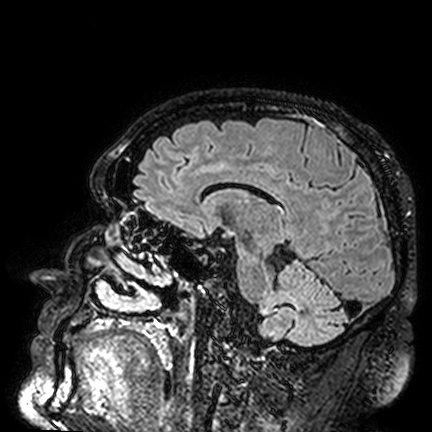
| field | value |
|---|---|
| modality | 3 Tesla brain MRI |
| series | FLAIR VISTA |
| study | ring-enhancing brain masses |